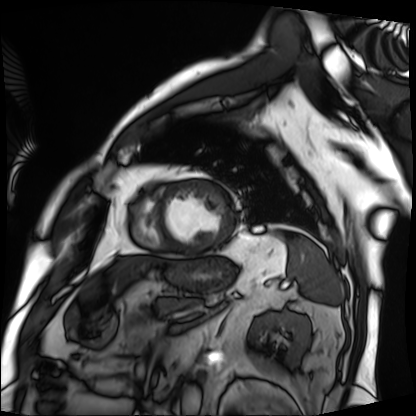
Cardiac MRI.
Subject group: patient.